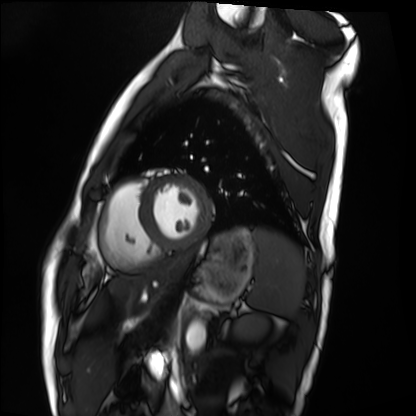
Case:
* modality: cardiac MRI
* subject group: healthy volunteer